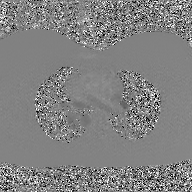
| field | value |
|---|---|
| modality | 2D phase-contrast cine MRI of the ascending aorta, GAN super-resolution reconstruction |